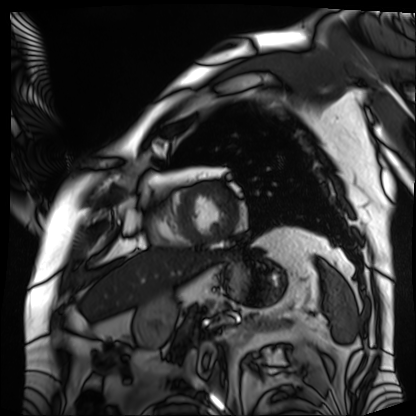
Cardiac MRI. Subject group: patient.